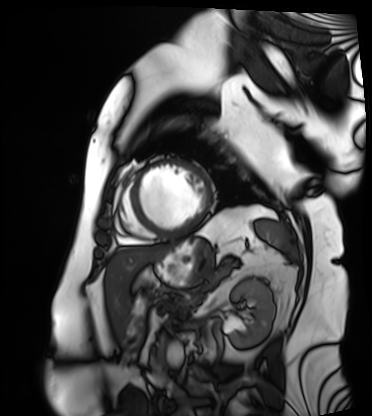
modality: cardiac MRI
cohort: patient